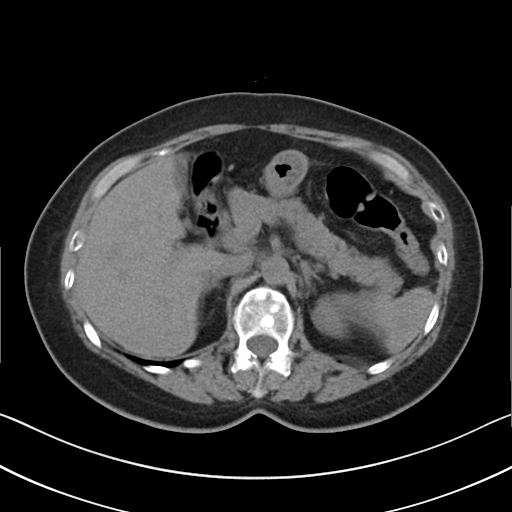
- modality · multiphase abdominal CT, liver, non-contrast phase
- patient · female, age 62